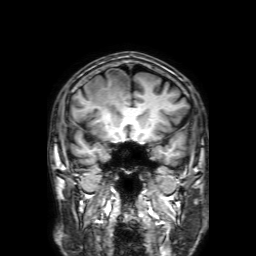
Summary:
3 Tesla brain MRI. Series: 3D T1-weighted with SENSE. Study: ring-enhancing brain masses.